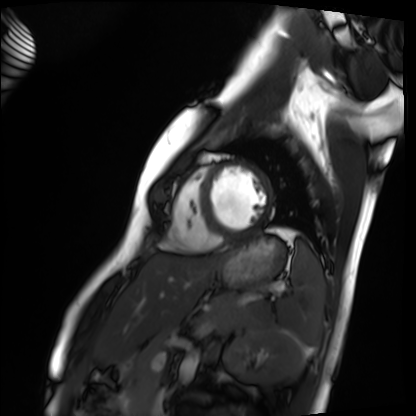
Cardiac MRI.
Subject group: healthy volunteer.